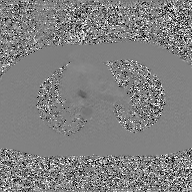
modality: 2D phase-contrast cine MRI of the ascending aorta, GAN super-resolution reconstruction